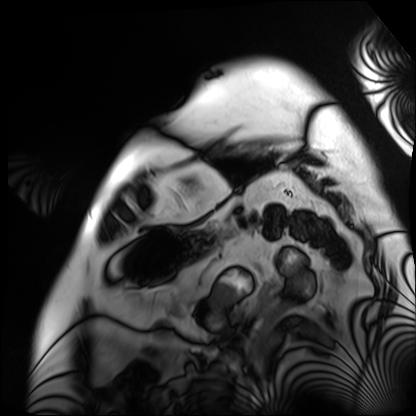
Q: What kind of scan is this?
A: Cardiac MRI.
Subject group: patient.